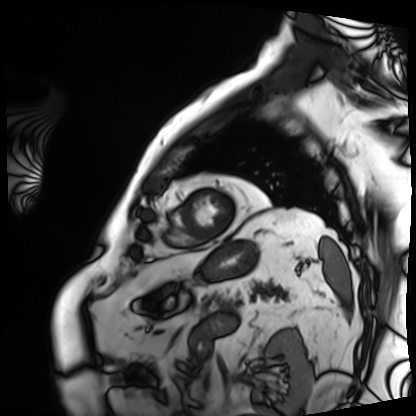
Cardiac MRI.
Subject group: patient.